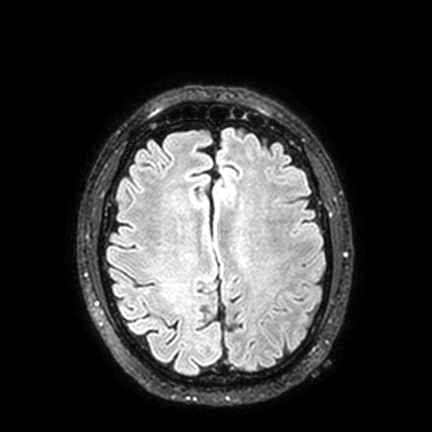
{
  "modality": {
    "type": "brain MRI",
    "field_strength": "3T"
  },
  "series": "FLAIR VISTA with SENSE",
  "study_topic": "ring-enhancing brain masses"
}